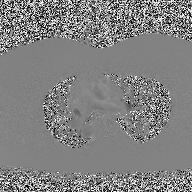
Q: What kind of scan is this?
A: 2D phase-contrast cine MRI of the ascending aorta.